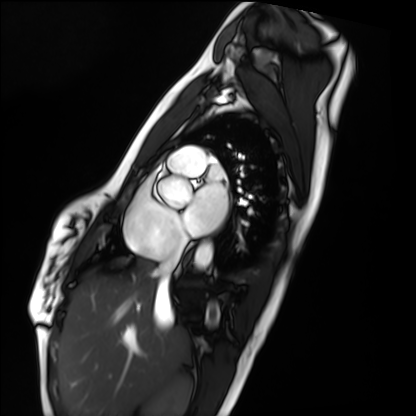
modality — cardiac MRI
subject group — healthy volunteer